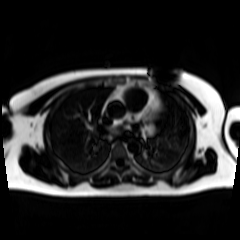
<study>
<modality>chemical-shift-encoded cardiac MRI</modality>
</study>